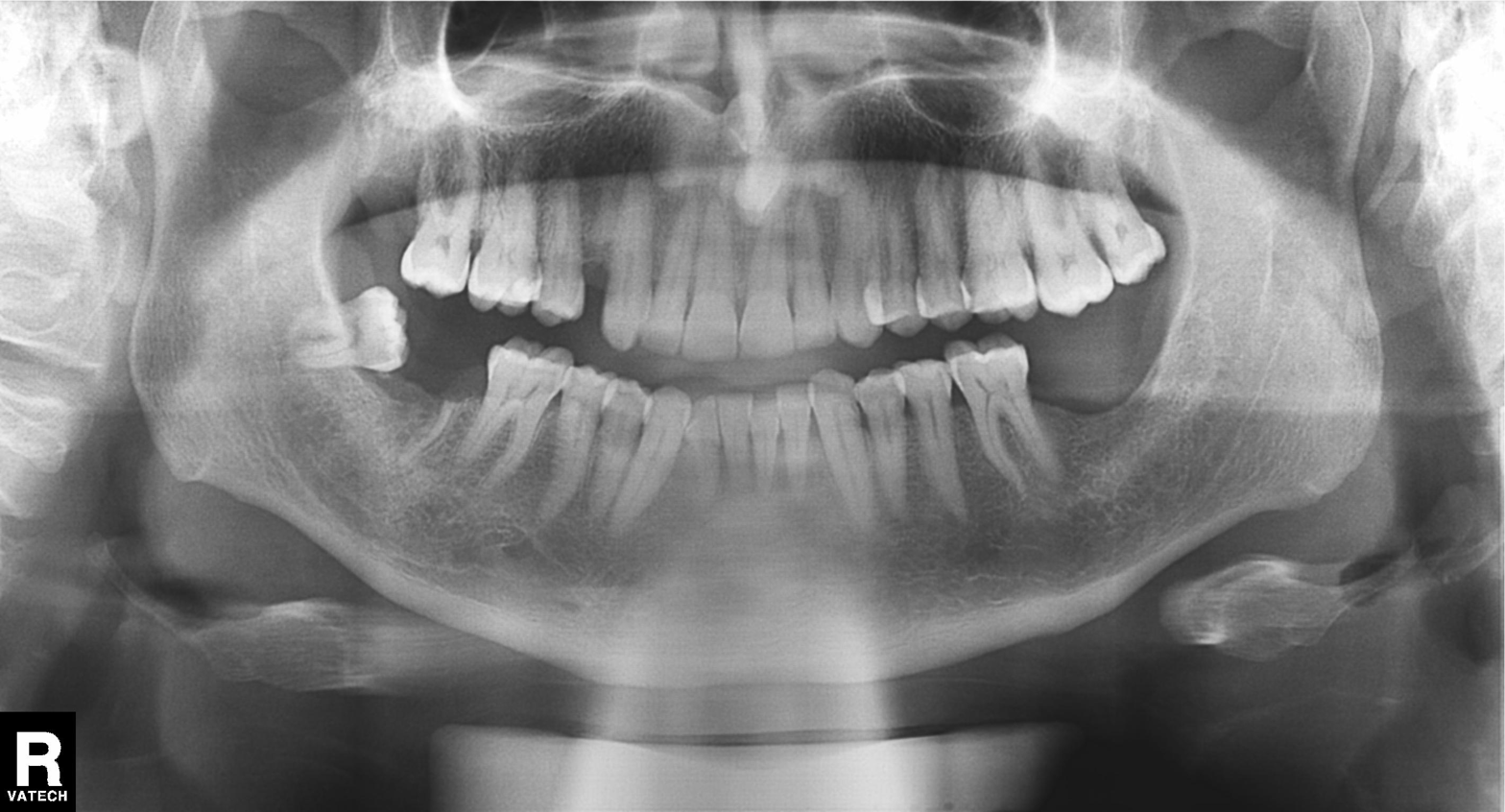
Q: What kind of scan is this?
A: Panoramic dental radiograph (orthopantomogram).
Q: What is the radiographic finding?
A: Tooth impaction.